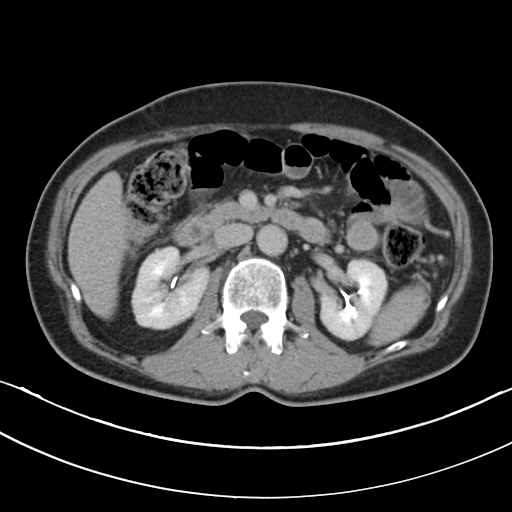
Multiphase abdominal CT, liver, delayed phase. Patient: male, age 59. History: cirrhosis, viral hepatitis.